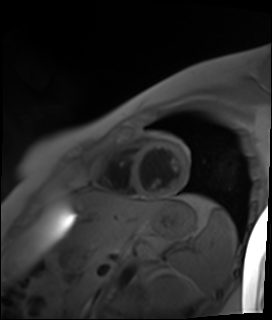
Q: What kind of scan is this?
A: Cardiac MR image of the myocardium.
Subject cohort: healthy volunteer.